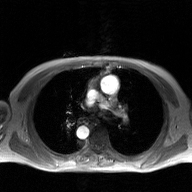
2D phase-contrast cine MRI of the ascending aorta, GAN super-resolution reconstruction.